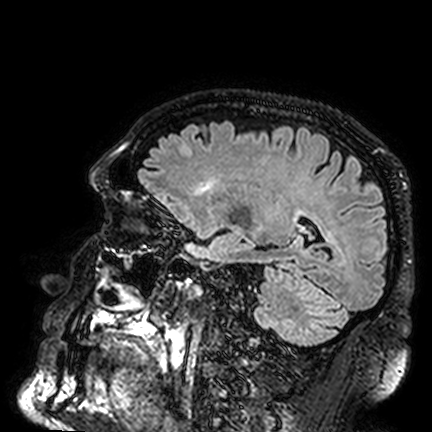
3 Tesla brain MRI.
Series: FLAIR VISTA.
Study: ring-enhancing brain masses.